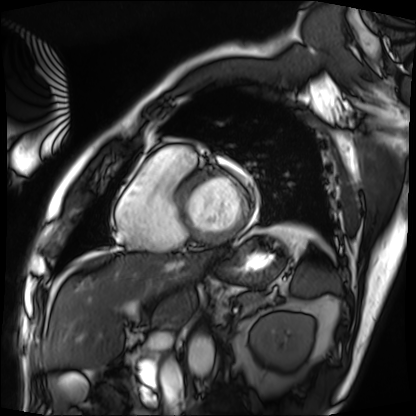
Q: What kind of scan is this?
A: Cardiac MRI.
Subject group: patient.